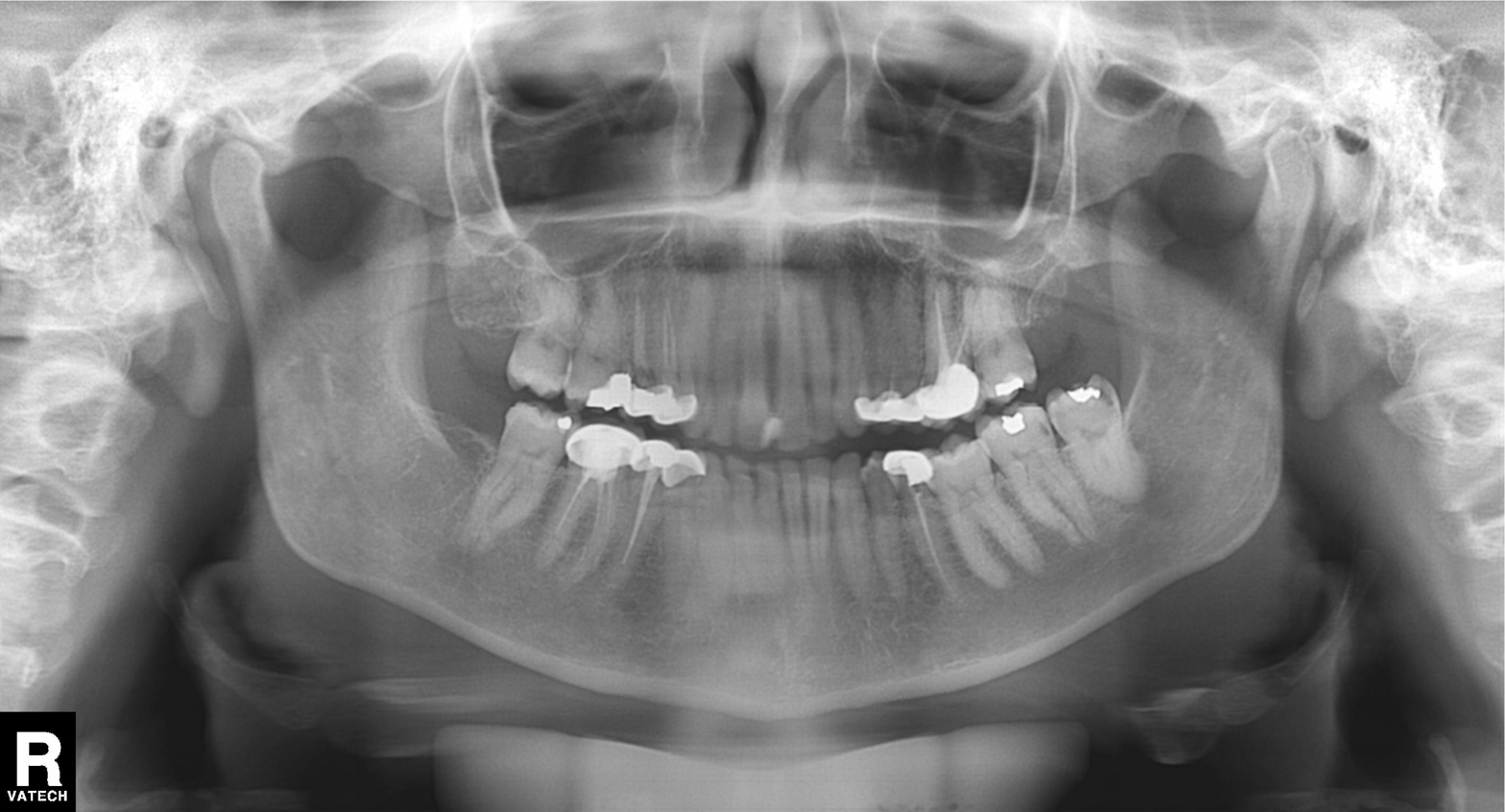
modality=panoramic dental radiograph (orthopantomogram) | finding=dental caries (cavities).